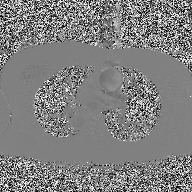
modality: 2D phase-contrast cine MRI of the ascending aorta.